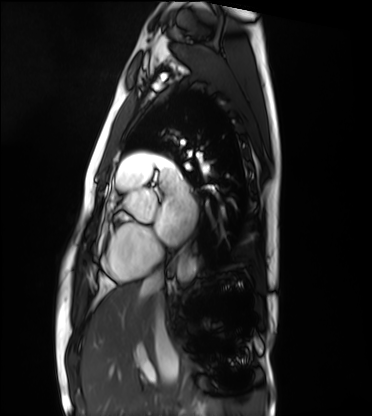
| field | value |
|---|---|
| modality | cardiac MRI |
| subject group | healthy volunteer |